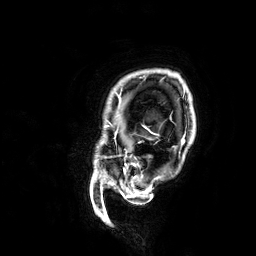
{"modality": {"type": "brain MRI", "field_strength": "3T"}, "series": "3D T1-weighted", "study_topic": "ring-enhancing brain masses"}